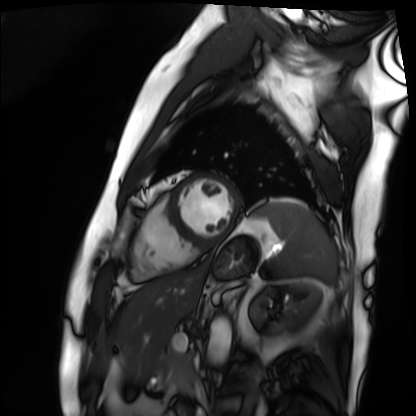
modality: cardiac MRI
subject group: patient